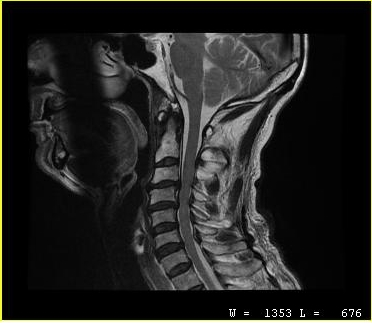
<case>
  <modality>
    <type>cervical spine MRI</type>
  </modality>
  <study_topic>cervical spondylosis</study_topic>
</case>